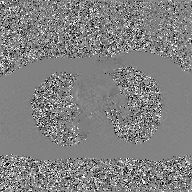
2D phase-contrast cine MRI of the ascending aorta, GAN super-resolution reconstruction.